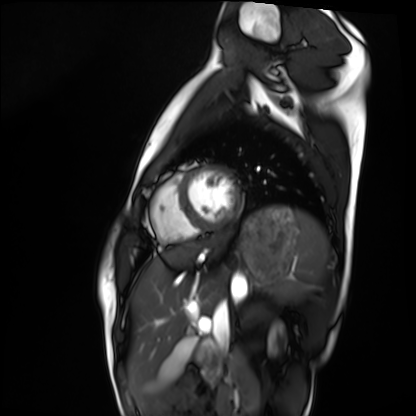
Q: What kind of scan is this?
A: Cardiac MRI.
Subject group: healthy volunteer.